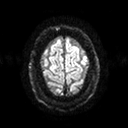
Summary: 3 Tesla brain MRI. Series: diffusion tensor imaging (medium iso). Study: ring-enhancing brain masses.